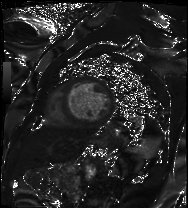
Summary: Cardiac MRI. Subject group: patient.